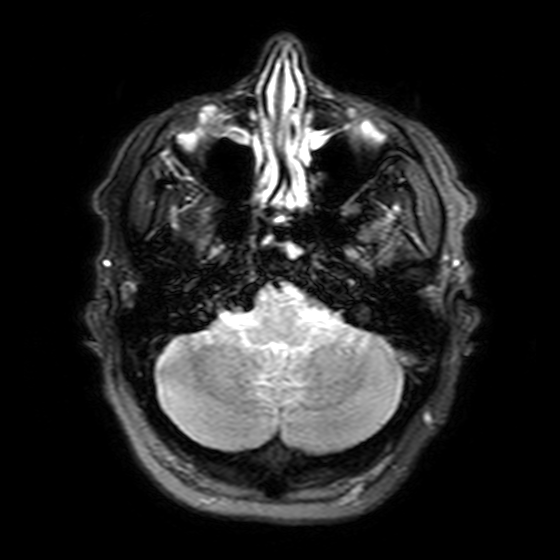
Case:
- modality: 3 Tesla brain MRI
- series: T2-weighted FLAIR
- study: ring-enhancing brain masses